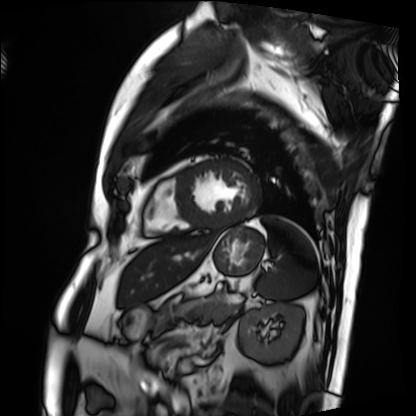
<case>
<modality>cardiac MRI</modality>
<cohort>patient</cohort>
</case>